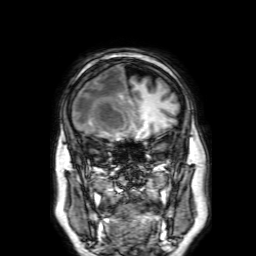
modality:
  type: brain MRI
  field_strength: 3T
series: 3D T1-weighted with SENSE
study_topic: ring-enhancing brain masses